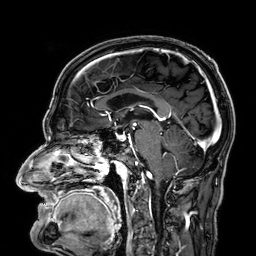
Summary:
3 Tesla brain MRI. Series: 3D T1-weighted. Study: ring-enhancing brain masses.